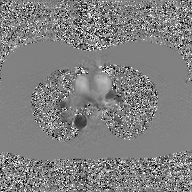
Case summary:
2D phase-contrast cine MRI of the ascending aorta, GAN super-resolution reconstruction.